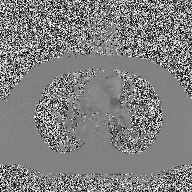
Q: What kind of scan is this?
A: 2D phase-contrast cine MRI of the ascending aorta.